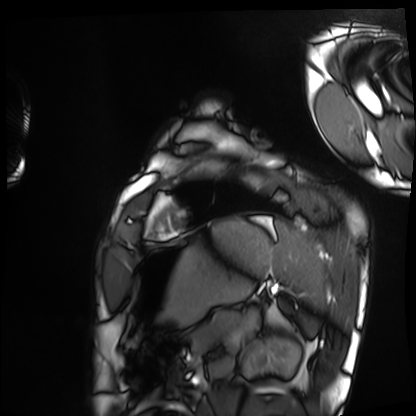
Cardiac MRI.
Subject group: healthy volunteer.